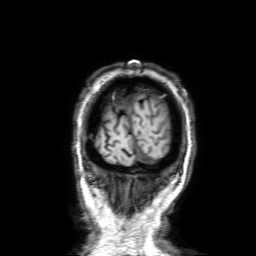
Summary:
3 Tesla brain MRI. Series: 3D T1-weighted with SENSE. Study: ring-enhancing brain masses.